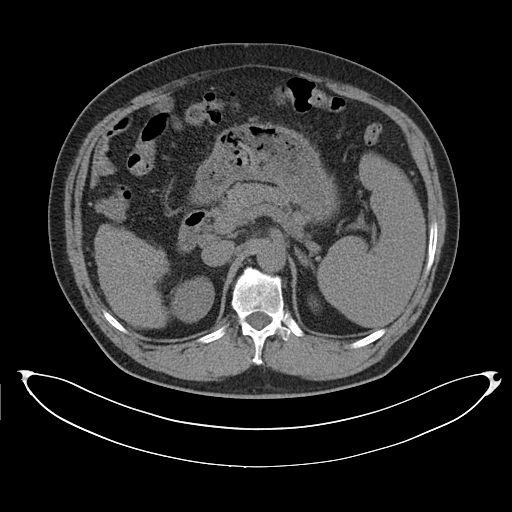
modality: multiphase abdominal CT, liver, non-contrast phase; patient: male, age 58; history: cirrhosis, viral hepatitis.